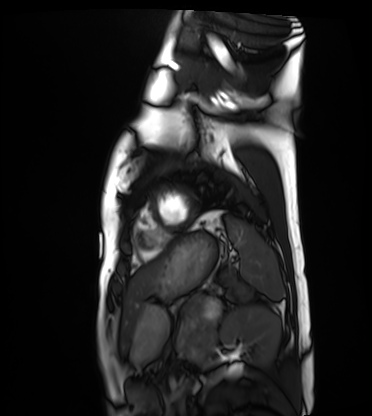
Q: What kind of scan is this?
A: Cardiac MRI.
Subject group: healthy volunteer.